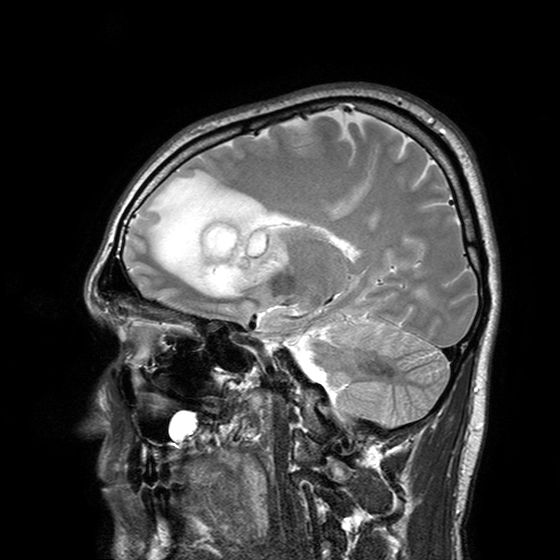
Case summary: 3 Tesla brain MRI. Series: T2-weighted turbo spin echo with SENSE. Study: ring-enhancing brain masses.